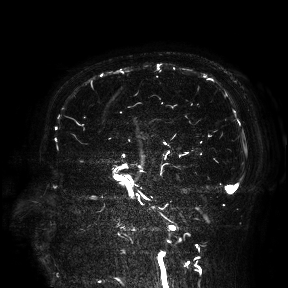
modality = 3 Tesla brain MRI; study = ring-enhancing brain masses.